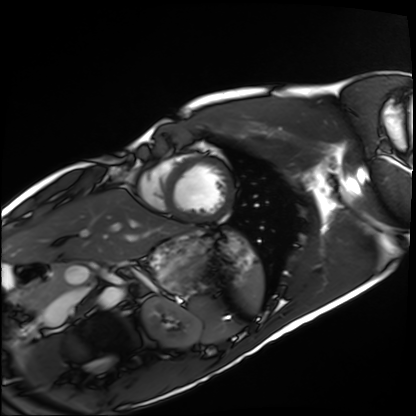
Q: What kind of scan is this?
A: Cardiac MRI.
Subject group: healthy volunteer.